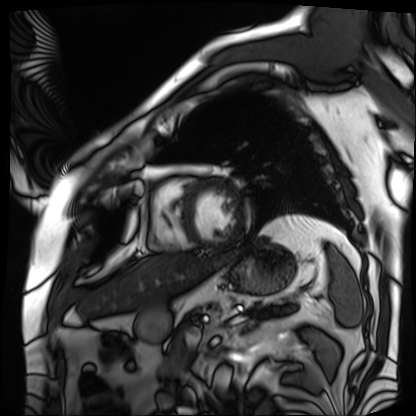
• modality: cardiac MRI
• subject group: patient